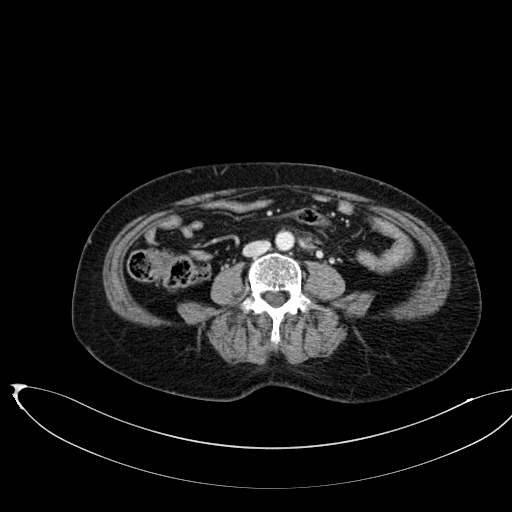
modality: multiphase abdominal CT, liver, portal venous phase; patient: female, age 58; history: prior chemotherapy.